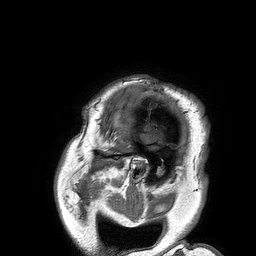
Q: What kind of scan is this?
A: 3 Tesla brain MRI.
Q: Series?
A: 3D T1-weighted turbo field echo.
Study: ring-enhancing brain masses.